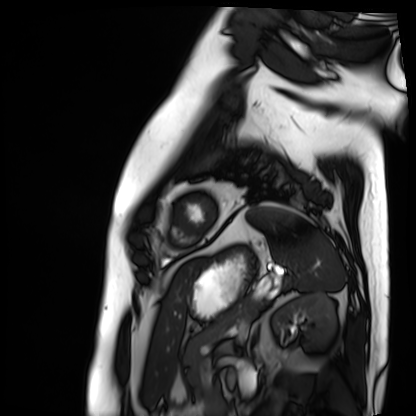
- modality: cardiac MRI
- subject group: patient